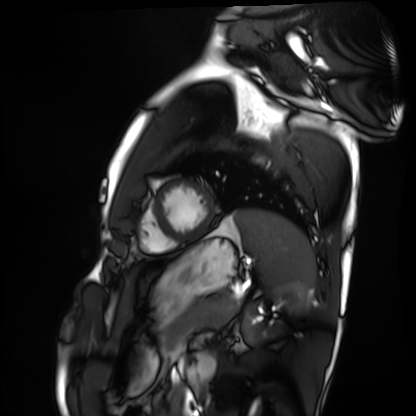
modality — cardiac MRI
subject group — healthy volunteer